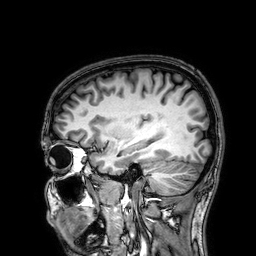
3 Tesla brain MRI. Series: 3D T1-weighted. Study: ring-enhancing brain masses.